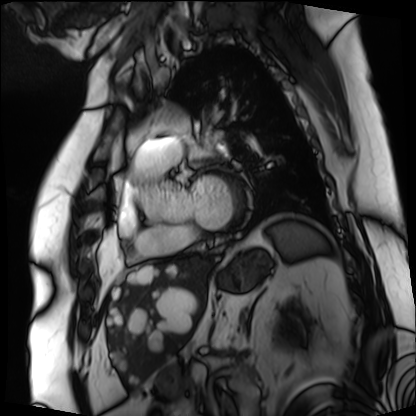
Cardiac MRI.
Subject group: patient.